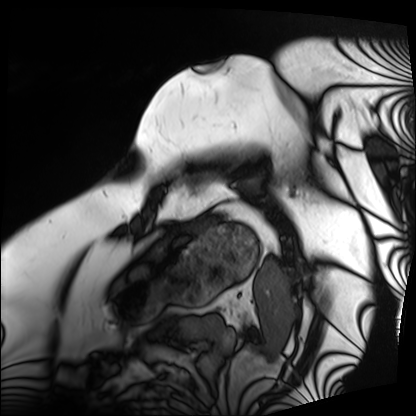
Clinical context:
Cardiac MRI. Subject group: patient.